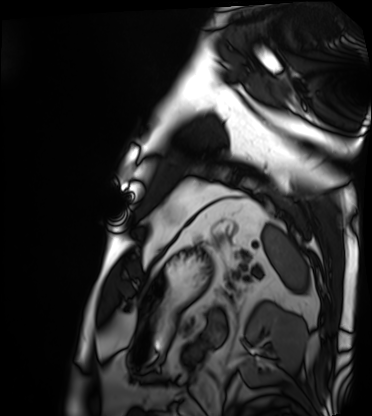
Summary: Cardiac MRI. Subject group: patient.